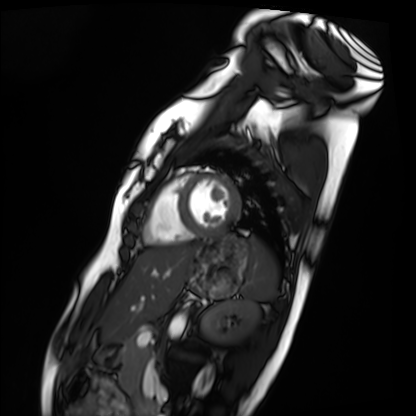
Cardiac MRI. Subject group: healthy volunteer.